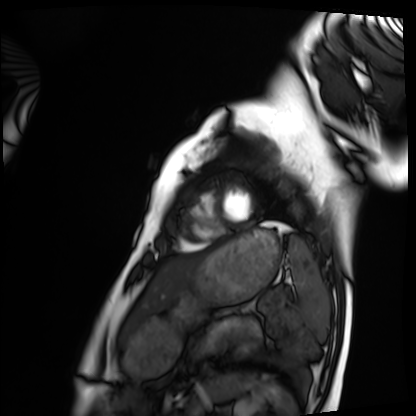
Summary: Cardiac MRI. Subject group: healthy volunteer.